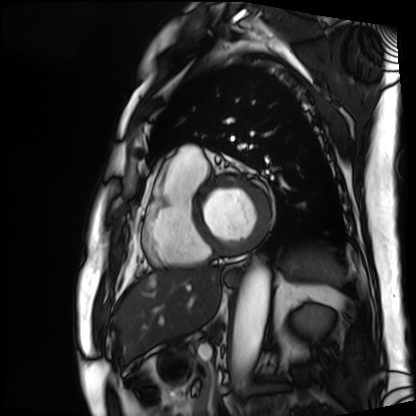
Q: What kind of scan is this?
A: Cardiac MRI.
Subject group: patient.